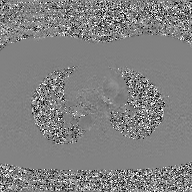
Clinical context:
2D phase-contrast cine MRI of the ascending aorta, GAN super-resolution reconstruction.